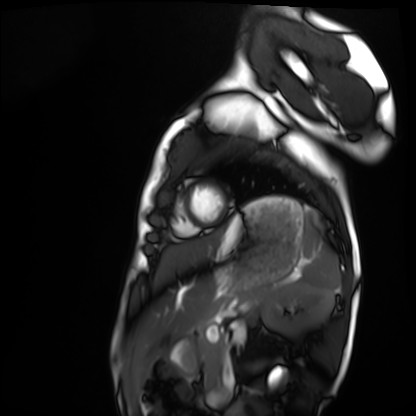
Summary: Cardiac MRI. Subject group: healthy volunteer.